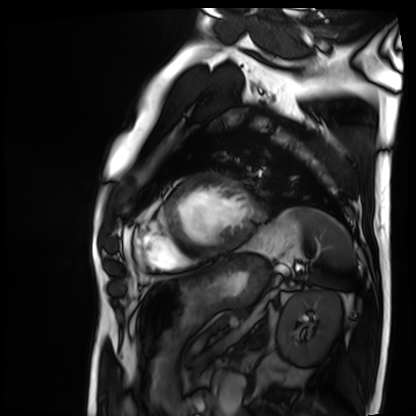
{
  "modality": "cardiac MRI",
  "cohort": "patient"
}